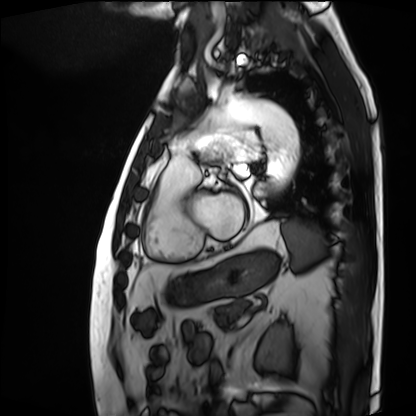
Clinical context: Cardiac MRI. Subject group: patient.